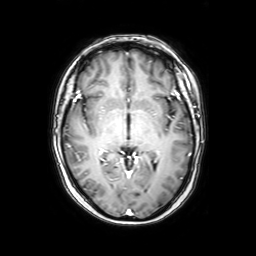
3 Tesla brain MRI.
Series: axial with contrast.
Study: ring-enhancing brain masses.